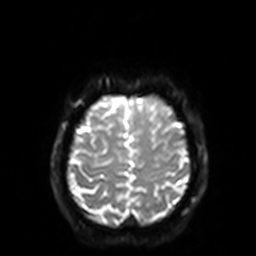
Case:
- modality — 3 Tesla brain MRI
- series — diffusion-weighted imaging with SENSE (WIP)
- study — ring-enhancing brain masses